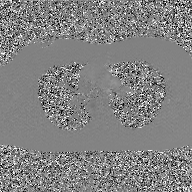
2D phase-contrast cine MRI of the ascending aorta, GAN super-resolution reconstruction.